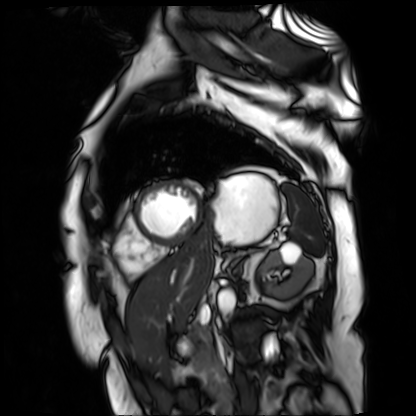
modality: cardiac MR image of the myocardium
subject cohort: cardiac patient